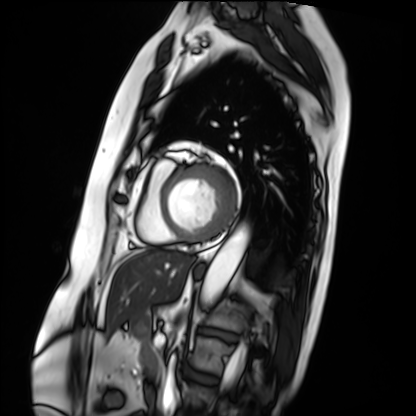
Q: What kind of scan is this?
A: Cardiac MRI.
Subject group: patient.